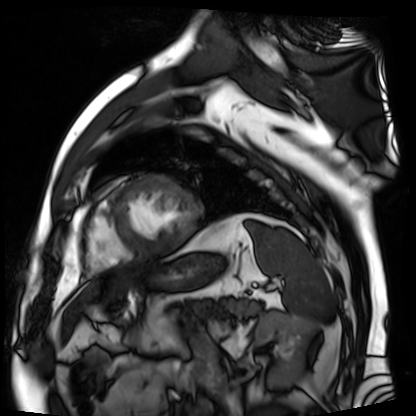
Cardiac MR image of the myocardium.
Subject cohort: cardiac patient.